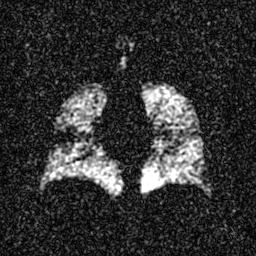
Q: What kind of scan is this?
A: Hyperpolarized 129Xe ventilation MRI of the lungs.
Q: SNR level?
A: 4 of 8 (the deposit holds this scan as its native image and as seven SNR-degraded versions).